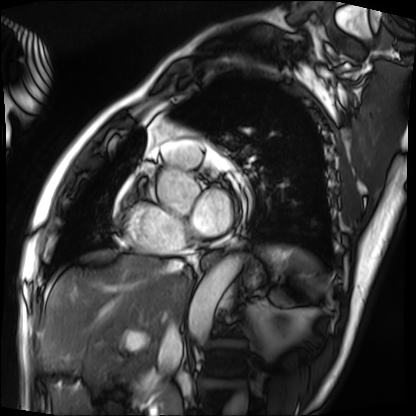
Case summary: Cardiac MRI. Subject group: patient.